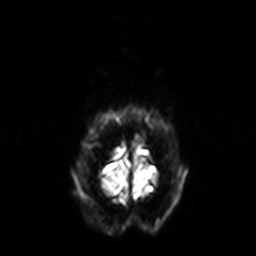
Q: What kind of scan is this?
A: 3 Tesla brain MRI.
Study: ring-enhancing brain masses.